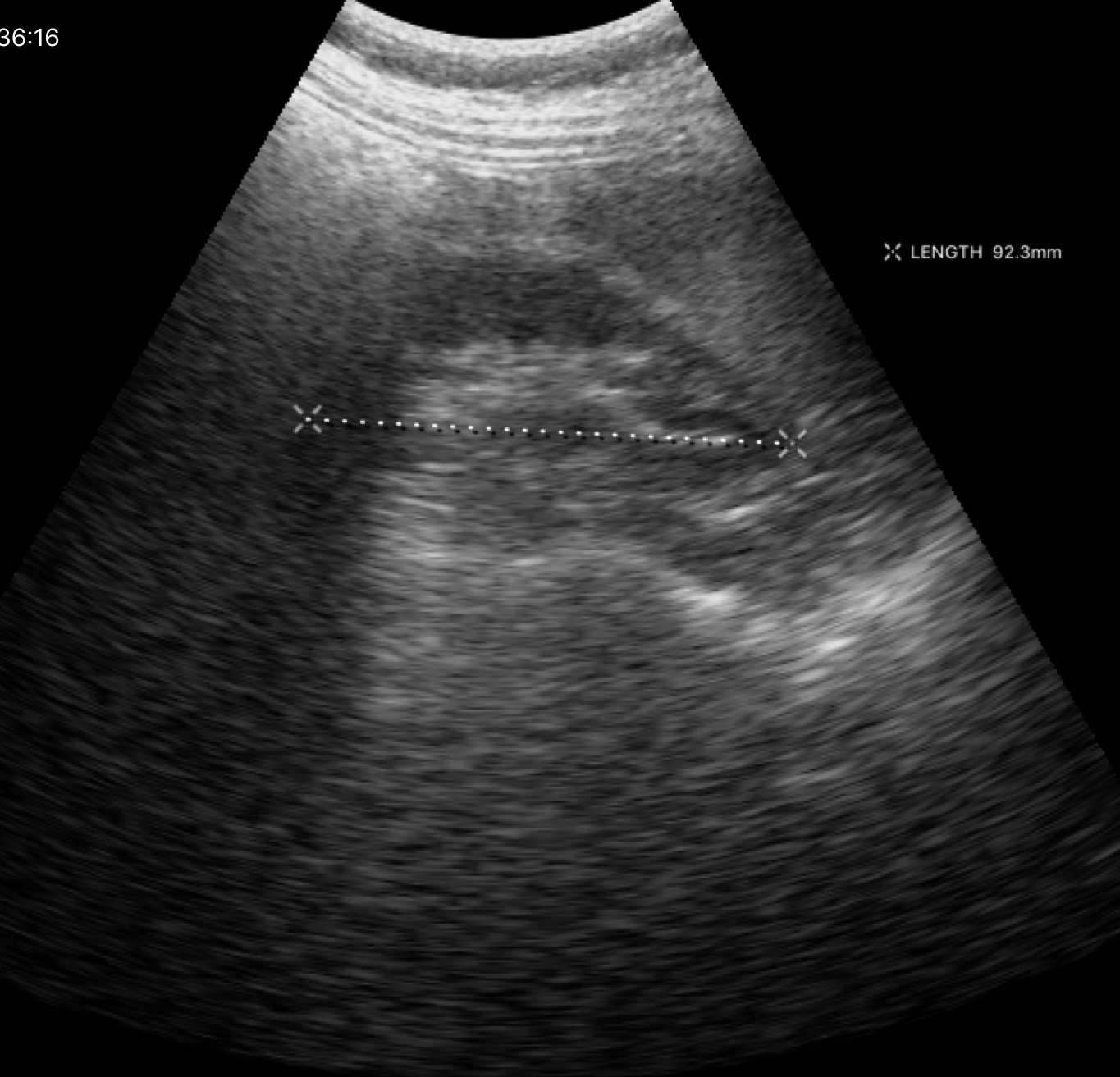
- modality · genitourinary ultrasound